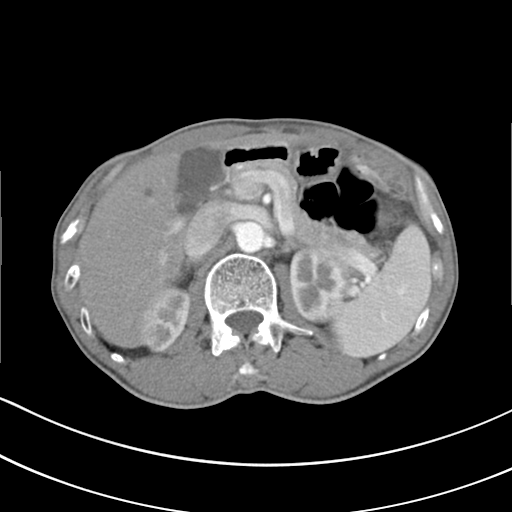
Summary: Multiphase abdominal CT, liver, arterial phase. Patient: male, age 62.